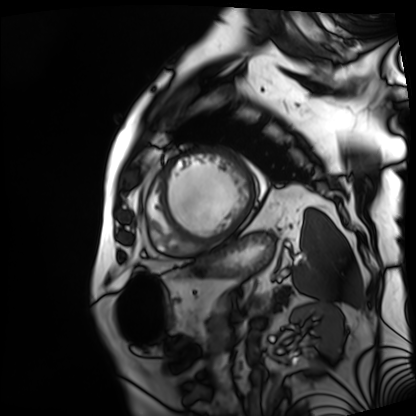
Case:
* modality · cardiac MRI
* subject group · patient